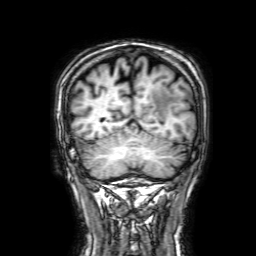
modality=3 Tesla brain MRI; series=3D T1-weighted with SENSE; study=ring-enhancing brain masses.